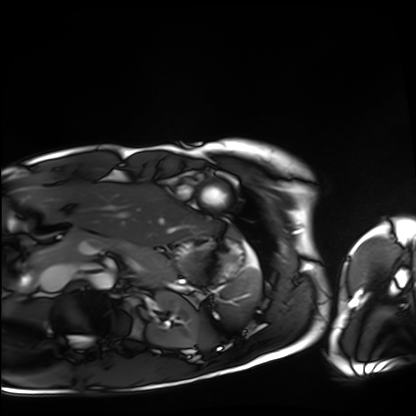
- modality: cardiac MRI
- subject group: healthy volunteer